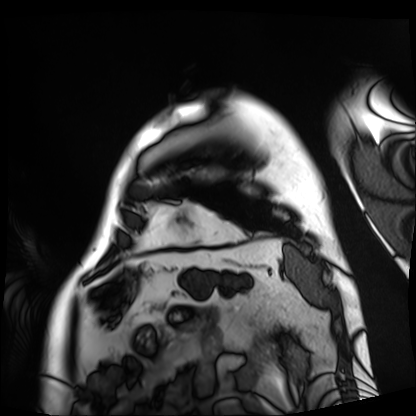
Clinical context: Cardiac MRI. Subject group: patient.